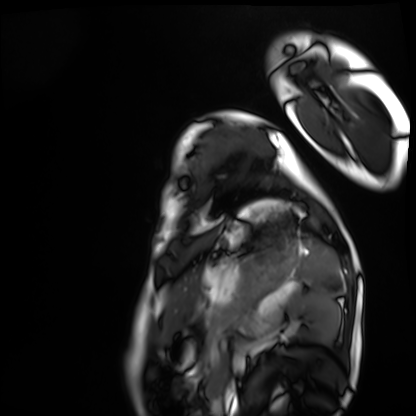
Cardiac MRI. Subject group: healthy volunteer.